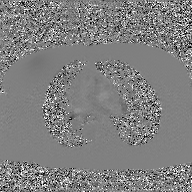
2D phase-contrast cine MRI of the ascending aorta, GAN super-resolution reconstruction.